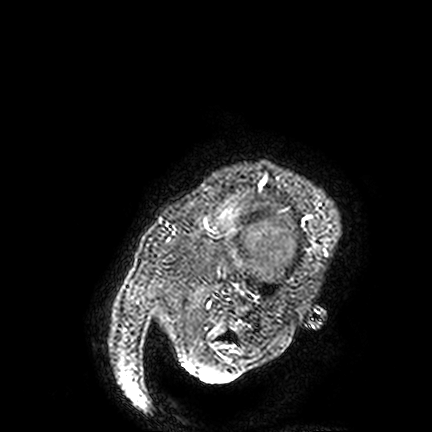
Summary: 3 Tesla brain MRI. Series: FLAIR VISTA. Study: ring-enhancing brain masses.